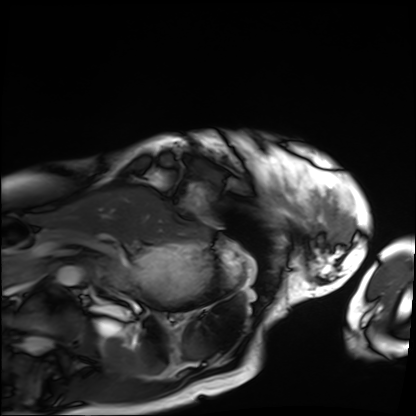
Q: What kind of scan is this?
A: Cardiac MRI.
Subject group: patient.